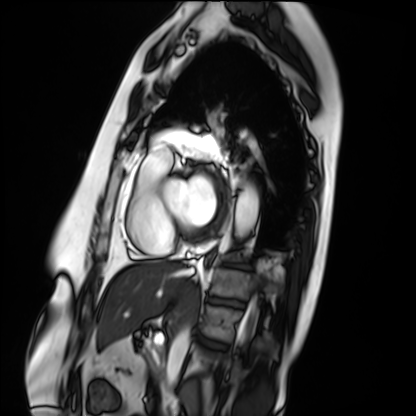
Cardiac MRI.
Subject group: patient.